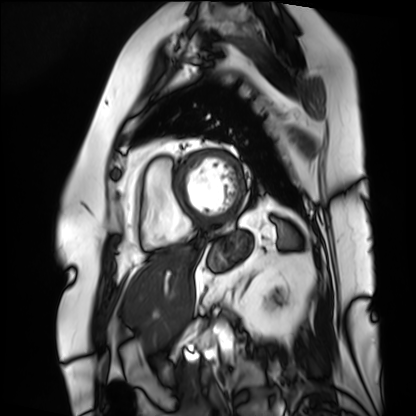
Summary: Cardiac MRI. Subject group: patient.